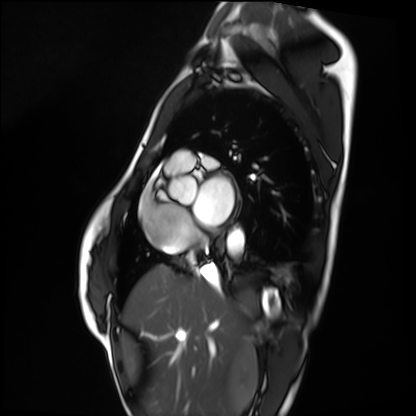
Case summary: Cardiac MRI. Subject group: healthy volunteer.